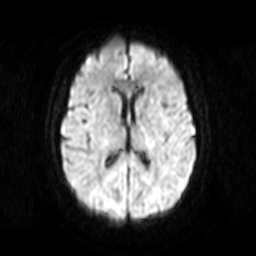
modality: 3 Tesla brain MRI
series: diffusion-weighted imaging
study: ring-enhancing brain masses